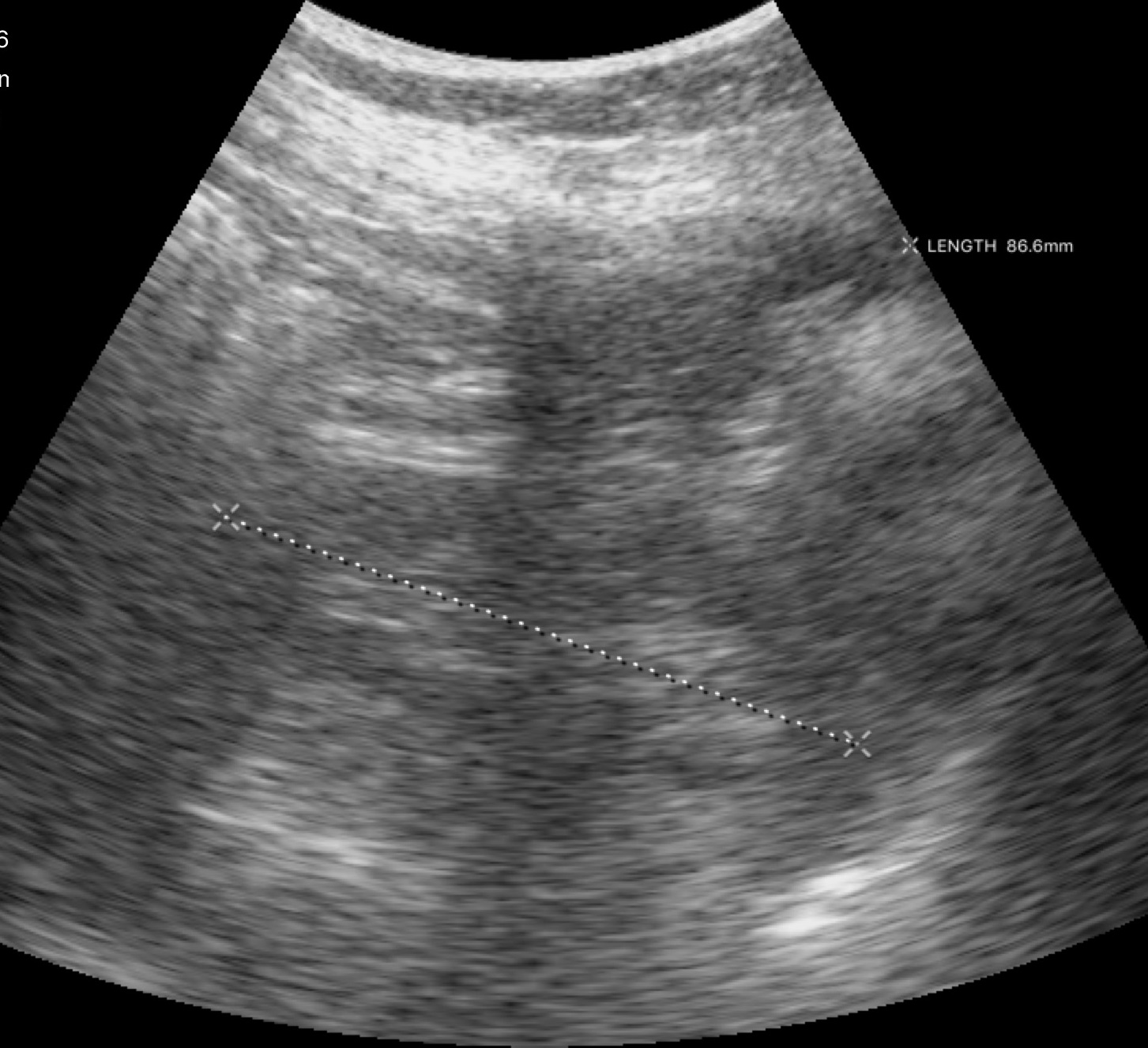
Case:
* modality: genitourinary ultrasound